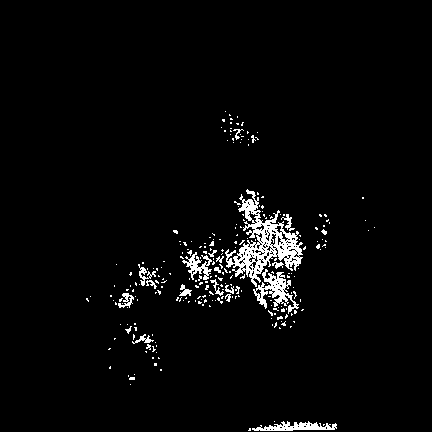
modality = 3 Tesla brain MRI | study = ring-enhancing brain masses.